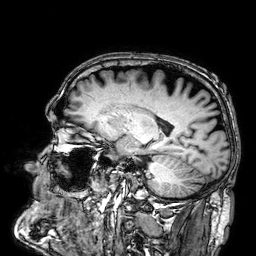
  modality:
    type: brain MRI
    field_strength: 3T
  series: 3D T1-weighted
  study_topic: ring-enhancing brain masses